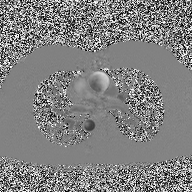
modality: 2D phase-contrast cine MRI of the ascending aorta